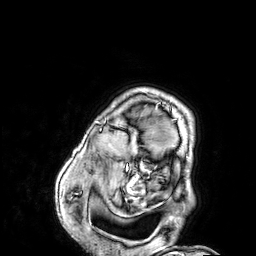
Summary: 3 Tesla brain MRI. Series: 3D T1-weighted. Study: ring-enhancing brain masses.